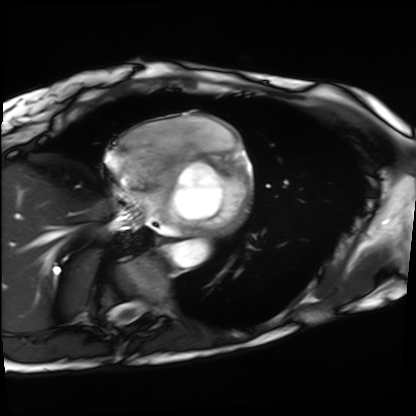
Summary: Cardiac MRI. Subject group: patient.